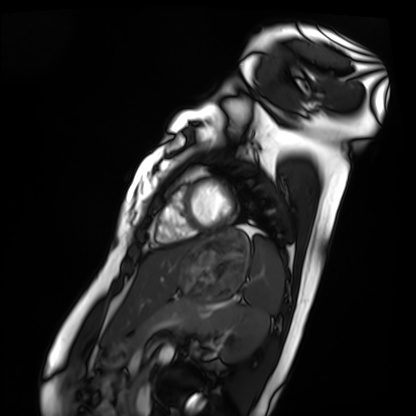
{
  "modality": "cardiac MRI",
  "cohort": "healthy volunteer"
}